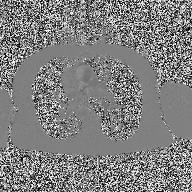
Case summary: 2D phase-contrast cine MRI of the ascending aorta, high-resolution GRAPPA acquisition.